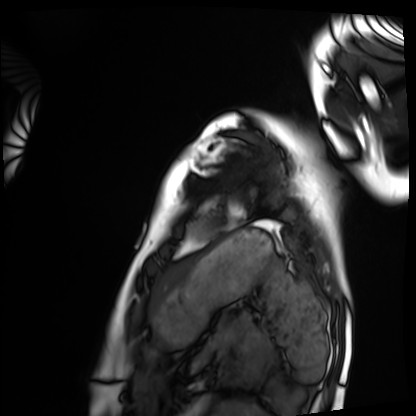
Cardiac MRI. Subject group: healthy volunteer.